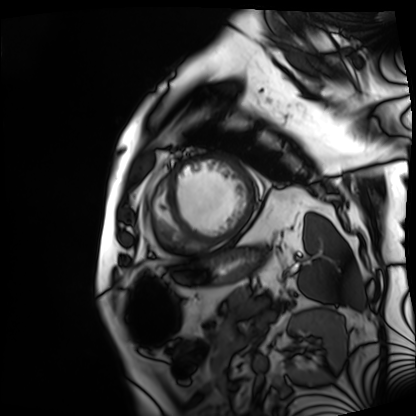
Case:
• modality: cardiac MRI
• subject group: patient